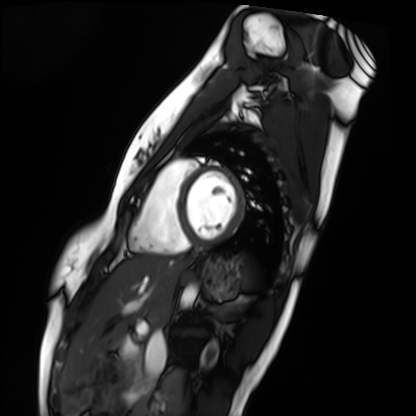
Cardiac MRI.
Subject group: healthy volunteer.